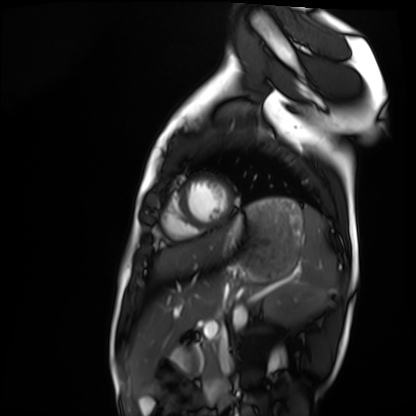
modality = cardiac MRI | subject group = healthy volunteer.